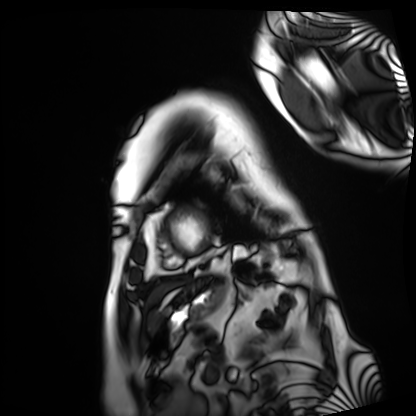
Cardiac MRI. Subject group: patient.